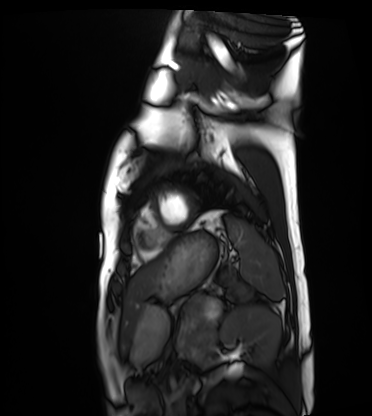
- modality — cardiac MRI
- subject group — healthy volunteer